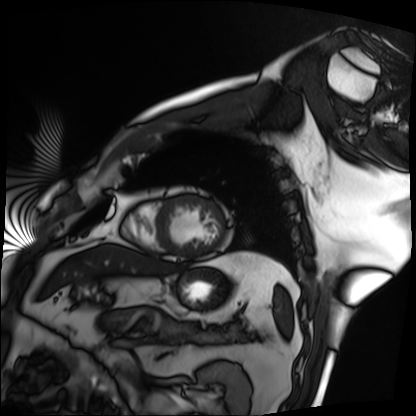
modality: cardiac MRI; subject group: patient.